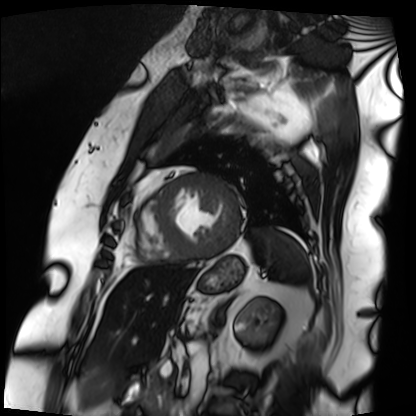
modality: cardiac MRI; subject group: patient.